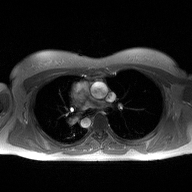
Case:
- modality · 2D phase-contrast cine MRI of the ascending aorta